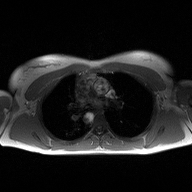
2D phase-contrast cine MRI of the ascending aorta, high-resolution GRAPPA acquisition.